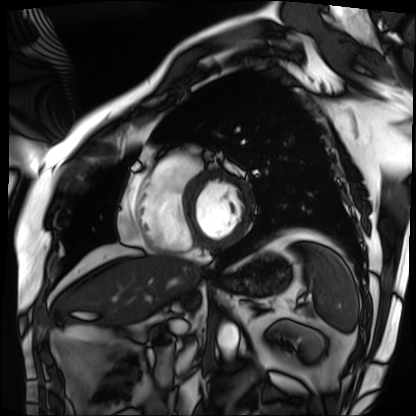
Q: What kind of scan is this?
A: Cardiac MRI.
Subject group: patient.